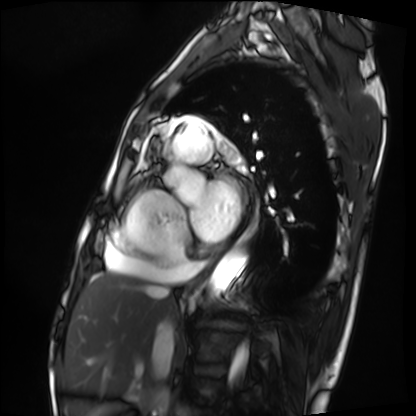
Cardiac MRI. Subject group: patient.